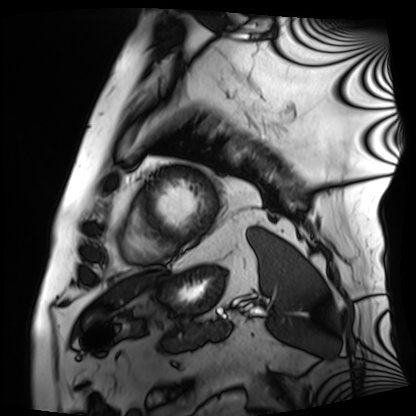
modality = cardiac MRI | subject group = patient.